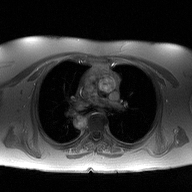
{"modality": {"type": "2D phase-contrast cine MRI", "region": "ascending aorta", "reconstruction": "high-resolution GRAPPA acquisition"}}